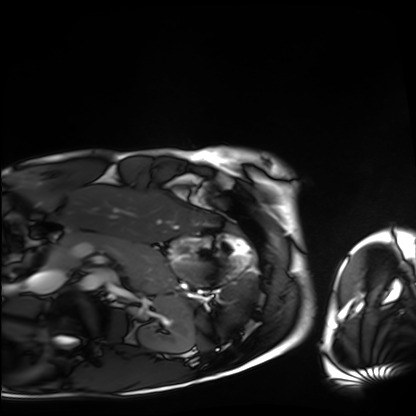
{"modality": "cardiac MRI", "cohort": "healthy volunteer"}